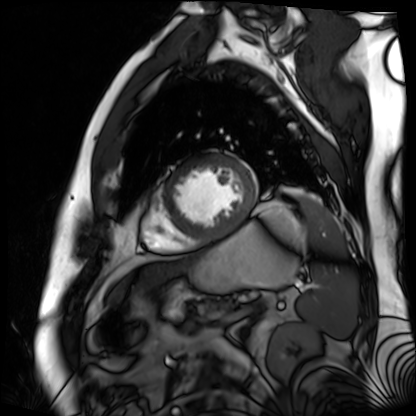
<study>
  <modality>cardiac MR image of the myocardium</modality>
  <cohort>cardiac patient</cohort>
</study>